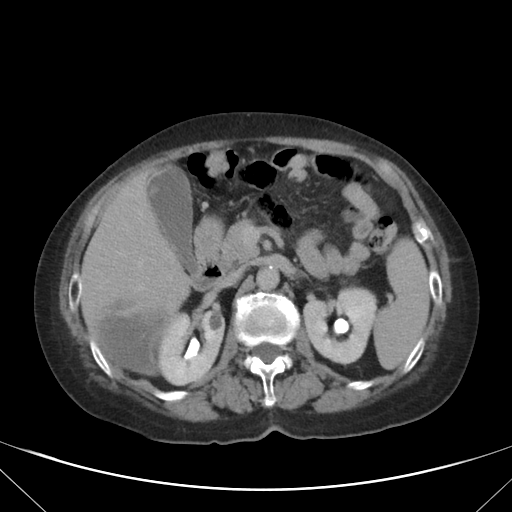
Multiphase abdominal CT, liver, delayed phase. Patient: female, age 76.